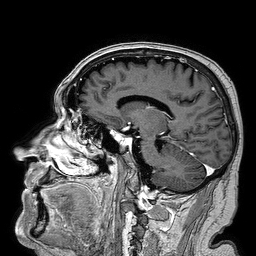
3 Tesla brain MRI. Series: 3D T1-weighted turbo field echo. Study: ring-enhancing brain masses.